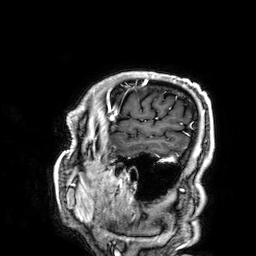
{"modality": {"type": "brain MRI", "field_strength": "3T"}, "series": "3D T1-weighted", "study_topic": "ring-enhancing brain masses"}